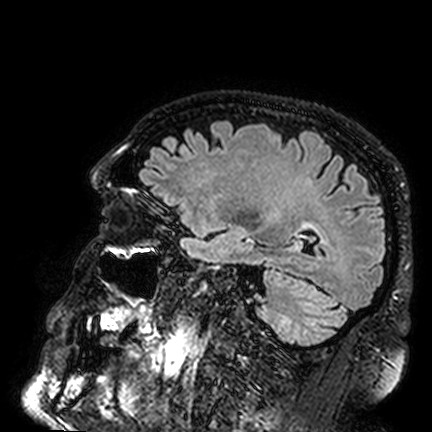
3 Tesla brain MRI.
Study: ring-enhancing brain masses.